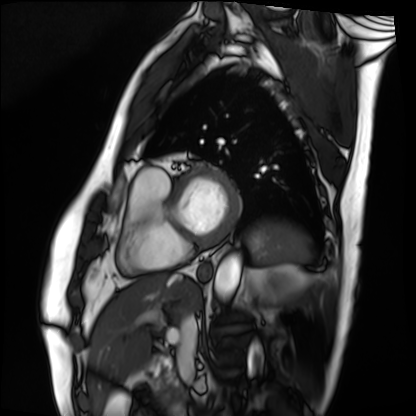
* modality · cardiac MRI
* subject group · patient